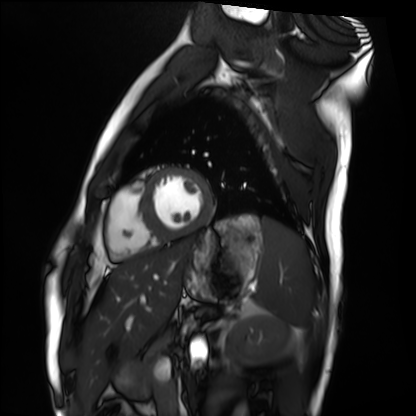
- modality · cardiac MRI
- subject group · healthy volunteer